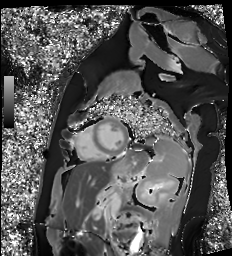
Cardiac MR image of the myocardium.
Subject cohort: healthy volunteer.